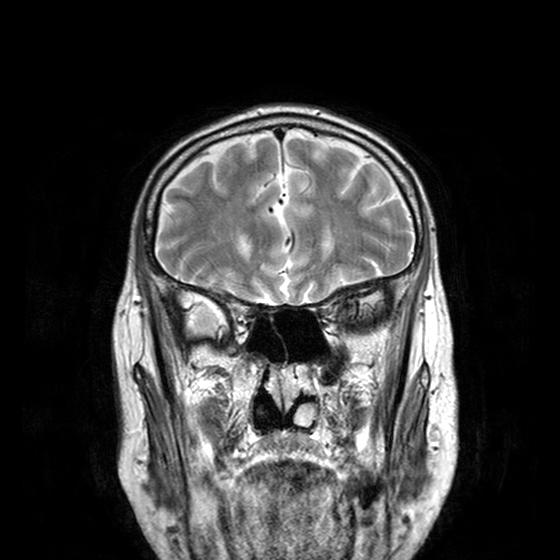
modality = 3 Tesla brain MRI; series = T2-weighted turbo spin echo with CLEAR; study = ring-enhancing brain masses.